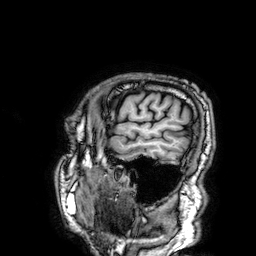
3 Tesla brain MRI.
Series: 3D T1-weighted.
Study: ring-enhancing brain masses.